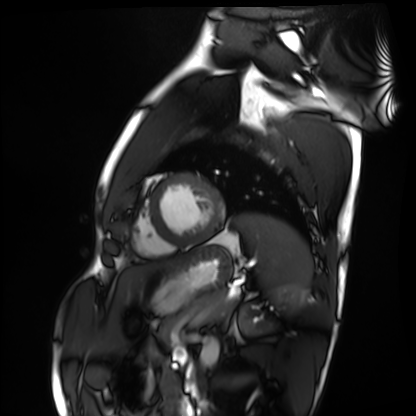
modality: cardiac MRI
cohort: healthy volunteer